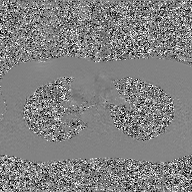
<study>
<modality>
  <type>2D phase-contrast cine MRI</type>
  <region>ascending aorta</region>
  <reconstruction>GAN super-resolution reconstruction</reconstruction>
</modality>
</study>